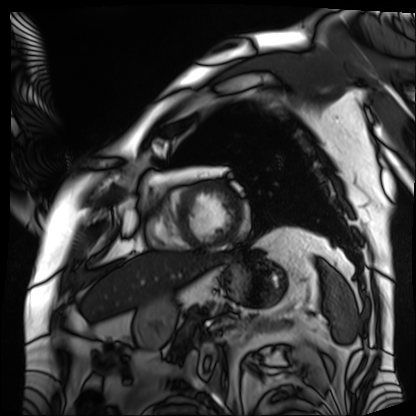
Cardiac MRI.
Subject group: patient.